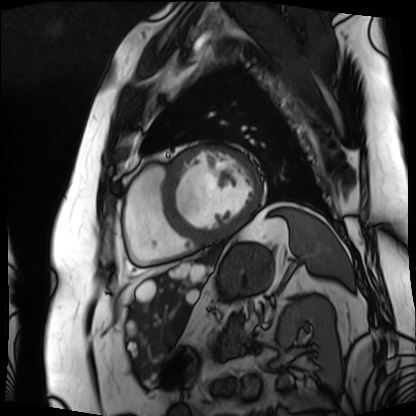
Q: What kind of scan is this?
A: Cardiac MRI.
Subject group: patient.